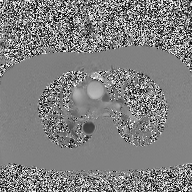
Summary: 2D phase-contrast cine MRI of the ascending aorta, high-resolution GRAPPA acquisition.